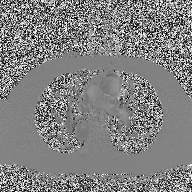
Q: What kind of scan is this?
A: 2D phase-contrast cine MRI of the ascending aorta.